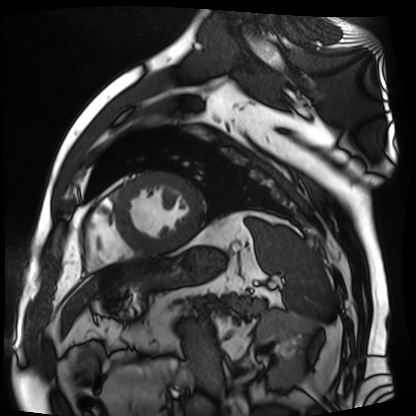
modality=cardiac MR image of the myocardium | subject cohort=cardiac patient.